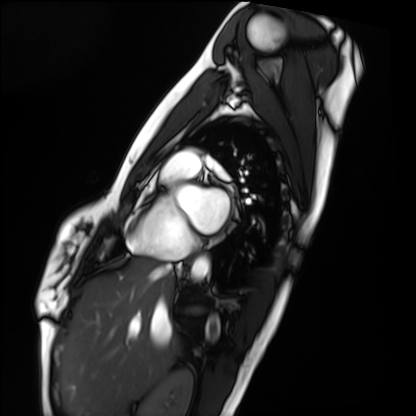
– modality: cardiac MRI
– subject group: healthy volunteer